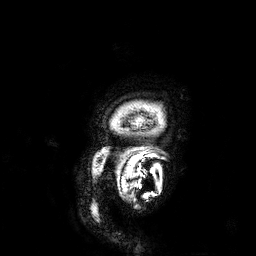
Clinical context:
3 Tesla brain MRI. Series: 3D T1-weighted. Study: ring-enhancing brain masses.